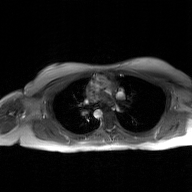
Case:
- modality: 2D phase-contrast cine MRI of the ascending aorta, GAN super-resolution reconstruction